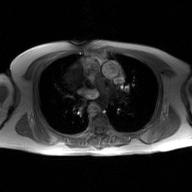
Summary:
2D phase-contrast cine MRI of the ascending aorta, GAN super-resolution reconstruction.